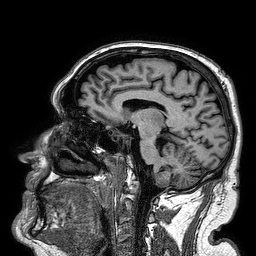
modality: 3 Tesla brain MRI | study: ring-enhancing brain masses.